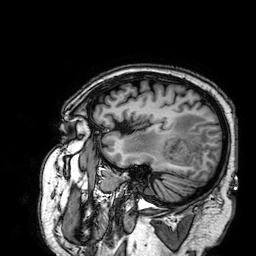
modality = 3 Tesla brain MRI; series = 3D T1-weighted; study = ring-enhancing brain masses.